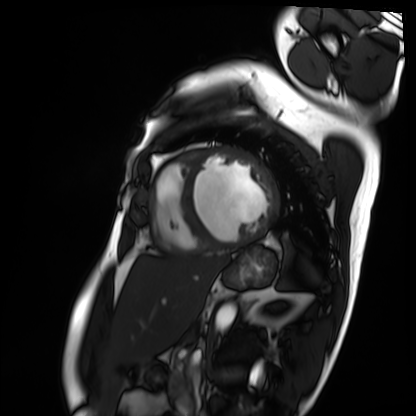
<scan>
<modality>cardiac MRI</modality>
<cohort>patient</cohort>
</scan>